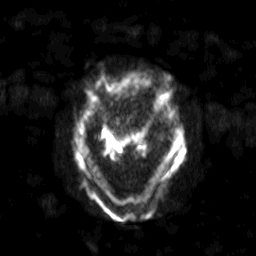
Q: What kind of scan is this?
A: 3 Tesla brain MRI.
Q: Series?
A: Diffusion-weighted imaging with SENSE (WIP).
Study: ring-enhancing brain masses.